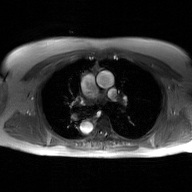
2D phase-contrast cine MRI of the ascending aorta, GAN super-resolution reconstruction.